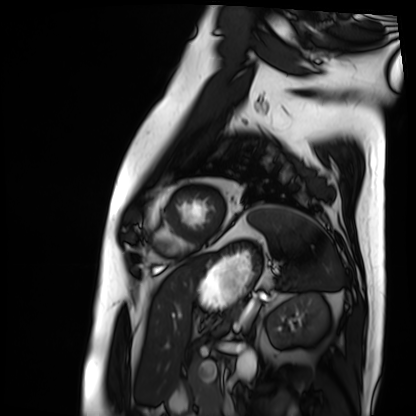
{"modality": "cardiac MRI", "cohort": "patient"}